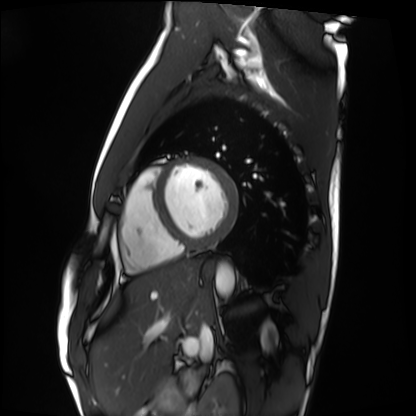
Cardiac MRI.
Subject group: healthy volunteer.